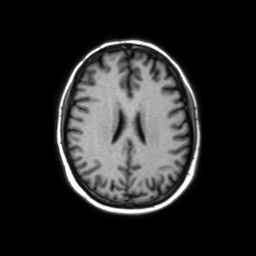
3 Tesla brain MRI. Series: axial without contrast. Study: ring-enhancing brain masses.